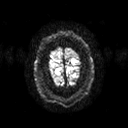
Summary:
3 Tesla brain MRI. Series: diffusion tensor imaging (medium iso). Study: ring-enhancing brain masses.